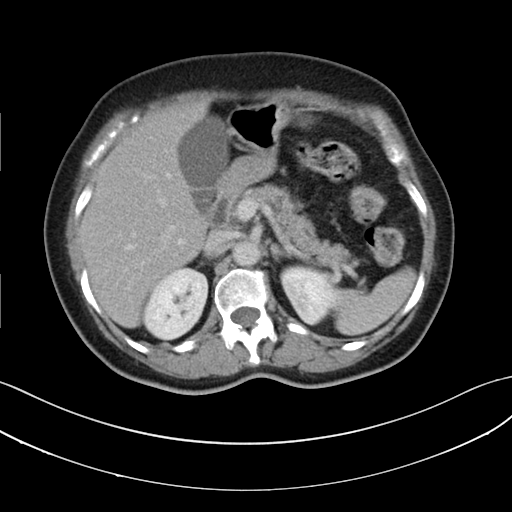
{"modality": {"type": "multiphase abdominal CT", "region": "liver", "phase": "delayed"}, "patient": {"sex": "female", "age": 64}, "history": ["prior chemotherapy"]}